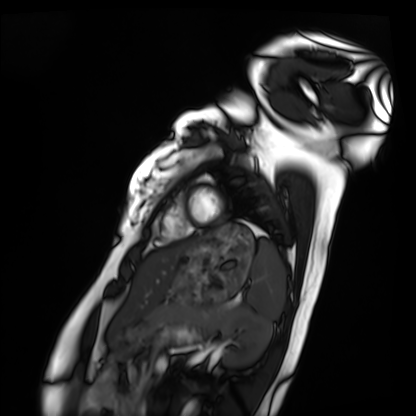
Cardiac MRI. Subject group: healthy volunteer.